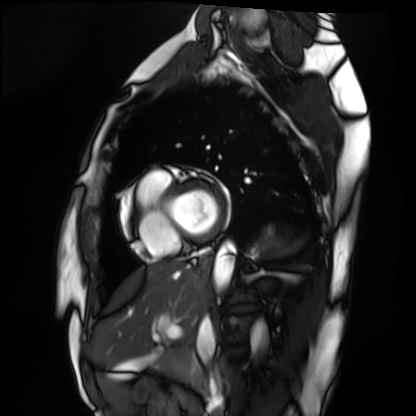
modality: cardiac MRI; subject group: healthy volunteer.